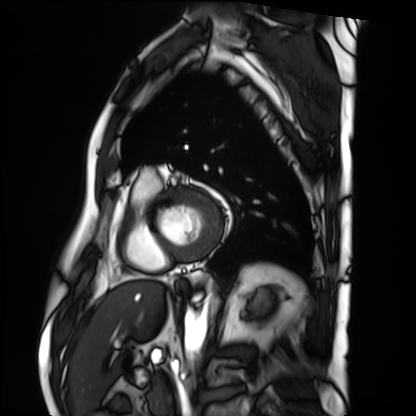
Cardiac MRI.
Subject group: patient.